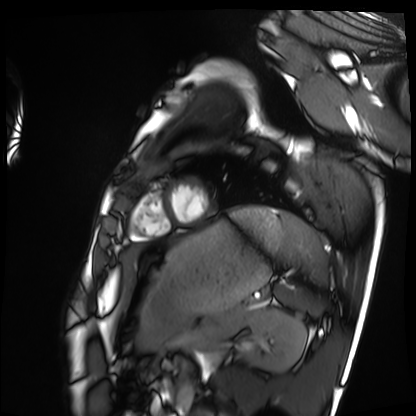
- modality: cardiac MRI
- subject group: healthy volunteer